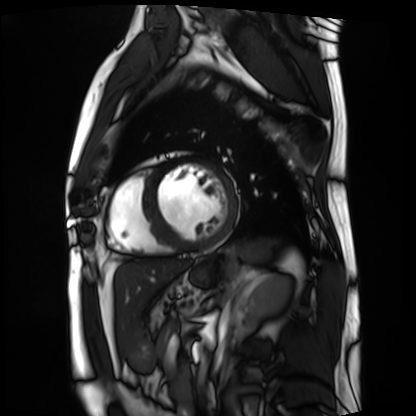
{
  "modality": "cardiac MRI",
  "cohort": "patient"
}